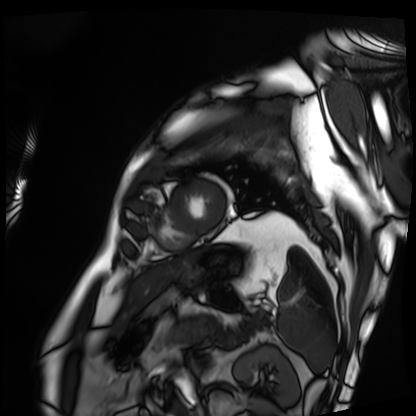
Cardiac MRI. Subject group: patient.